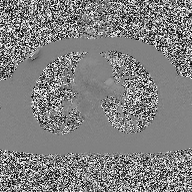
2D phase-contrast cine MRI of the ascending aorta, high-resolution GRAPPA acquisition.